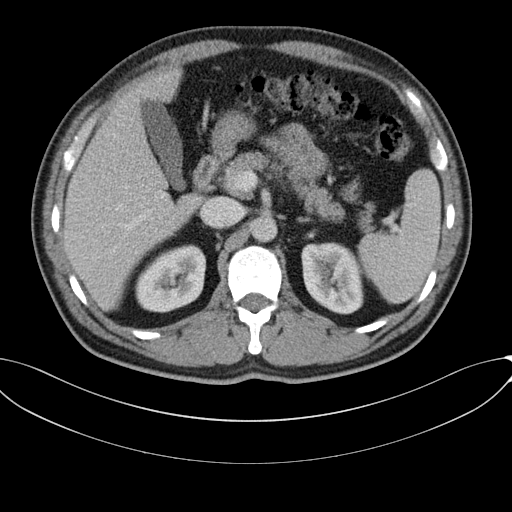
Multiphase abdominal CT, liver, portal venous phase. Patient: male, age 46.